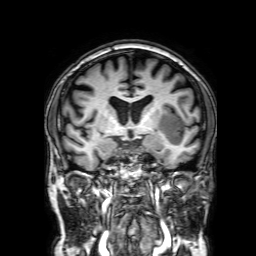
3 Tesla brain MRI. Series: 3D T1-weighted with SENSE. Study: ring-enhancing brain masses.